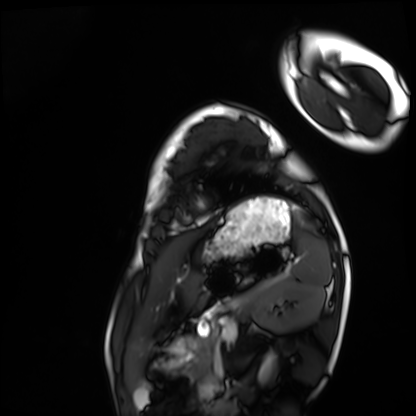
Case:
* modality · cardiac MRI
* subject group · healthy volunteer